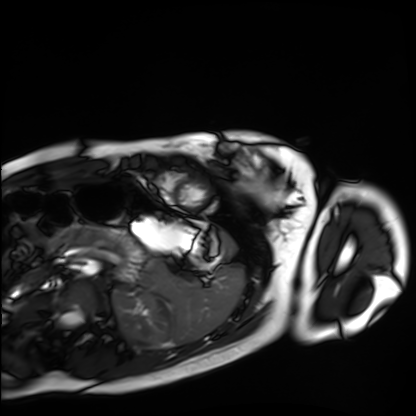
Case summary:
Cardiac MRI. Subject group: healthy volunteer.